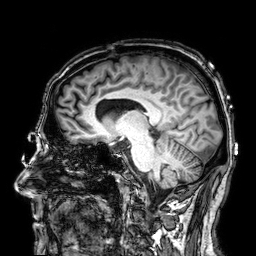
3 Tesla brain MRI.
Series: 3D T1-weighted.
Study: ring-enhancing brain masses.